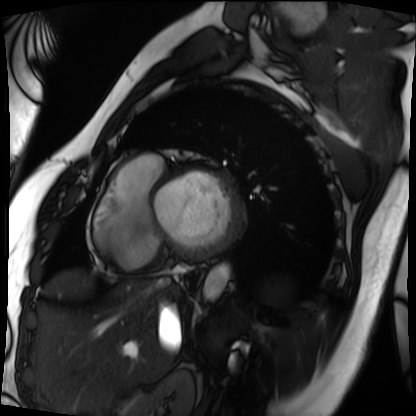
Case:
• modality — cardiac MRI
• subject group — patient